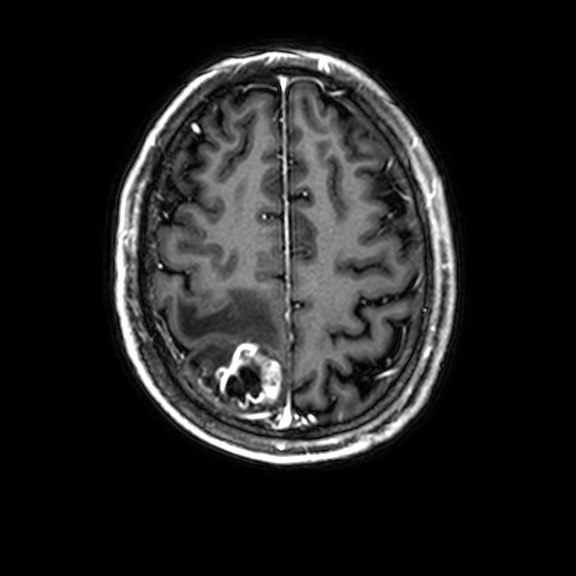
* modality · 3 Tesla brain MRI
* series · 3D T1-weighted with CLEAR
* study · ring-enhancing brain masses